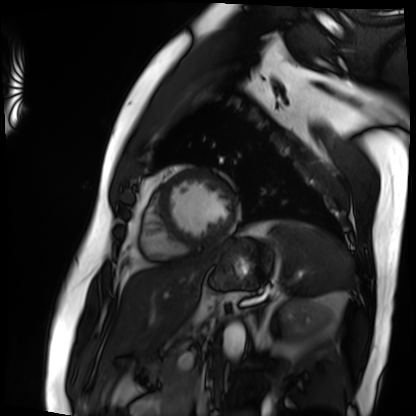
Case summary:
Cardiac MRI. Subject group: patient.